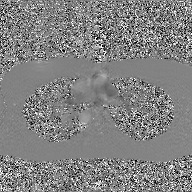
Case:
- modality: 2D phase-contrast cine MRI of the ascending aorta, GAN super-resolution reconstruction